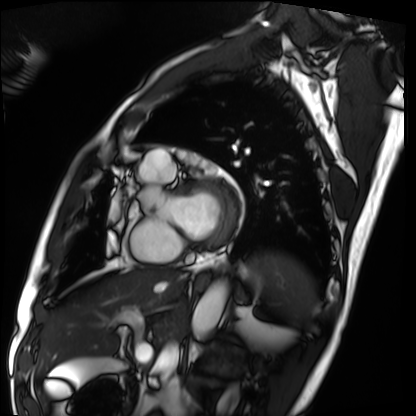
Clinical context:
Cardiac MRI. Subject group: patient.